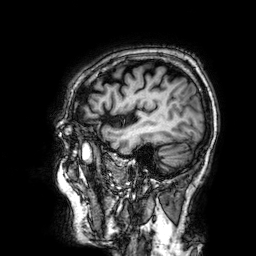
Case summary: 3 Tesla brain MRI. Series: 3D T1-weighted. Study: ring-enhancing brain masses.